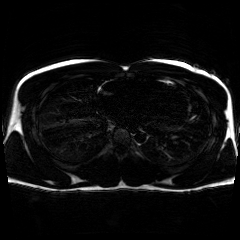
Chemical-shift-encoded cardiac MRI.